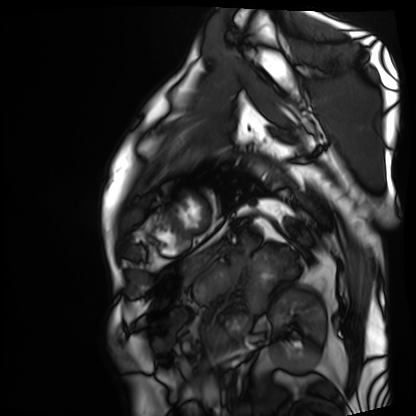
Clinical context:
Cardiac MRI. Subject group: patient.